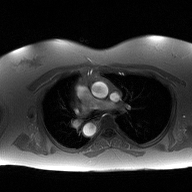
Summary:
2D phase-contrast cine MRI of the ascending aorta, high-resolution GRAPPA acquisition.